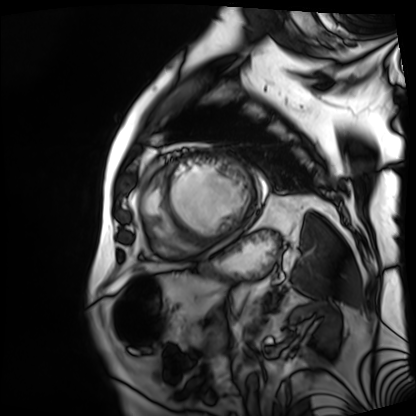
modality = cardiac MRI | subject group = patient.